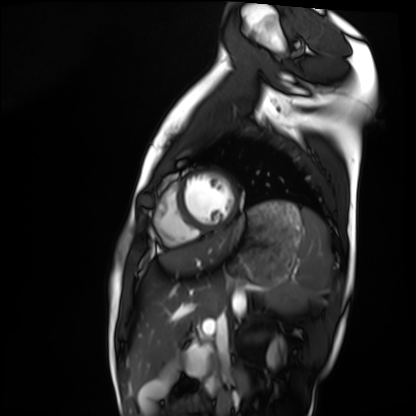
• modality · cardiac MRI
• subject group · healthy volunteer